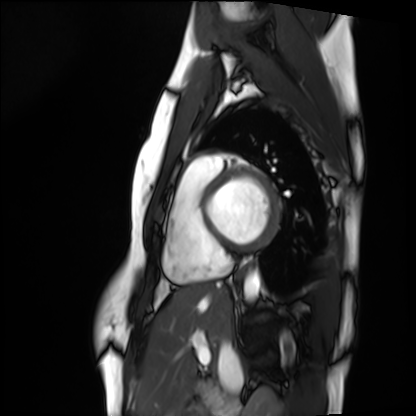
modality — cardiac MRI | subject group — healthy volunteer.